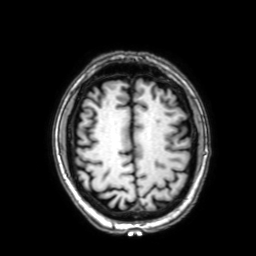
modality = 3 Tesla brain MRI; series = 3D T1-weighted with SENSE; study = ring-enhancing brain masses.